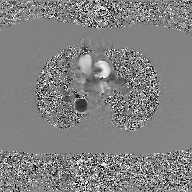
Q: What kind of scan is this?
A: 2D phase-contrast cine MRI of the ascending aorta, GAN super-resolution reconstruction.